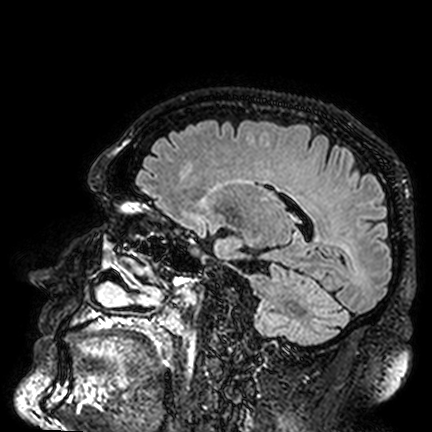
3 Tesla brain MRI. Series: FLAIR VISTA. Study: ring-enhancing brain masses.